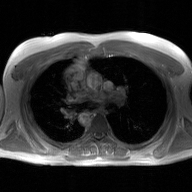
2D phase-contrast cine MRI of the ascending aorta, GAN super-resolution reconstruction.